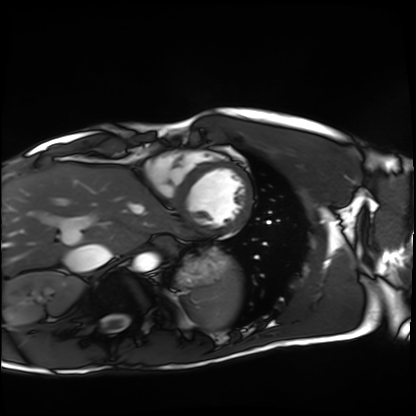
Cardiac MRI. Subject group: healthy volunteer.